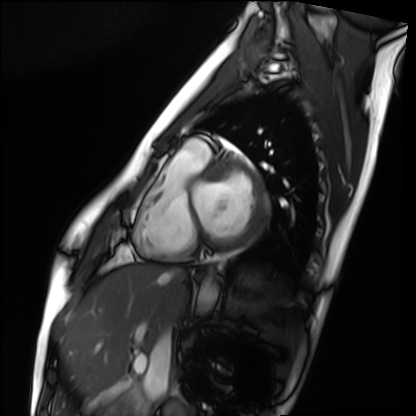
Q: What kind of scan is this?
A: Cardiac MRI.
Subject group: healthy volunteer.